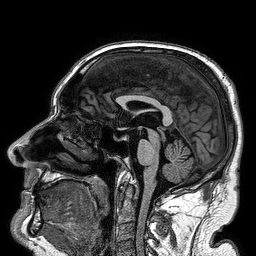
3 Tesla brain MRI.
Series: 3D T1-weighted turbo field echo.
Study: ring-enhancing brain masses.